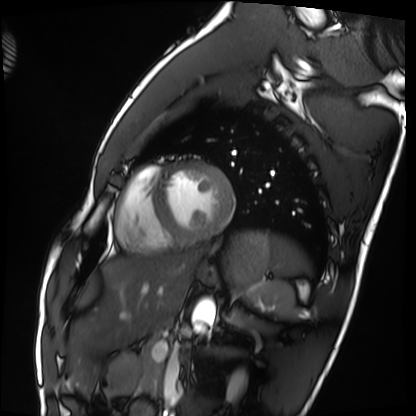
modality = cardiac MRI
subject group = healthy volunteer